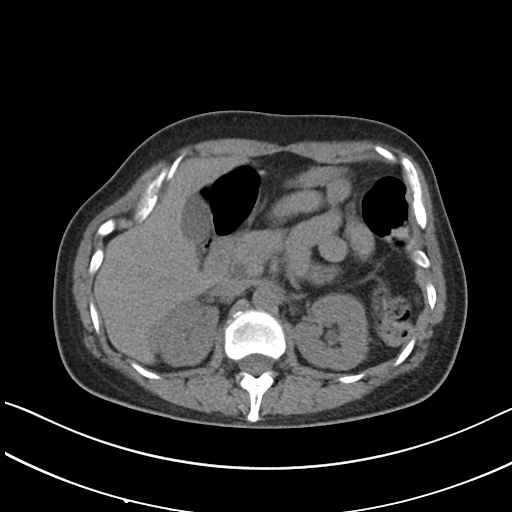
modality = multiphase abdominal CT, liver, non-contrast phase | patient = female, age 47 | history = prior chemotherapy.